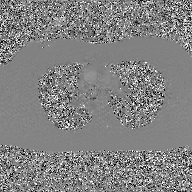
2D phase-contrast cine MRI of the ascending aorta, GAN super-resolution reconstruction.